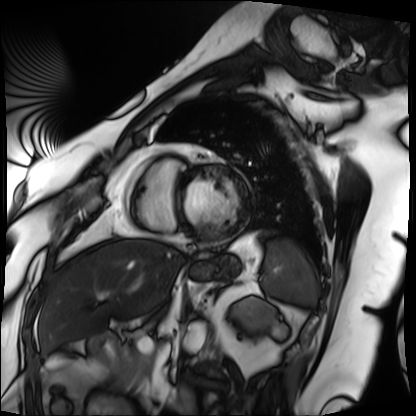
modality: cardiac MRI
cohort: patient